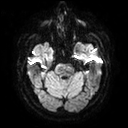
Summary: 3 Tesla brain MRI. Series: diffusion tensor imaging (medium iso). Study: ring-enhancing brain masses.